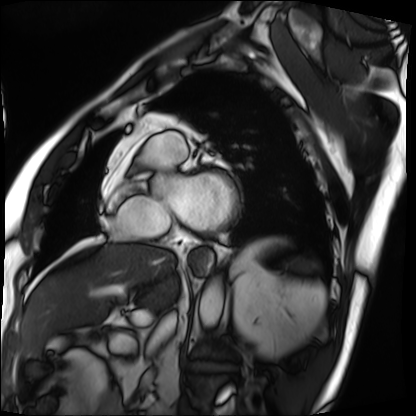
- modality · cardiac MRI
- subject group · patient